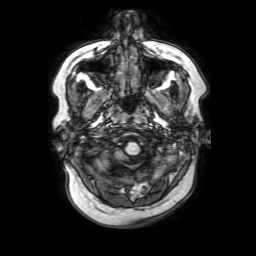
3 Tesla brain MRI.
Series: 3D T1-weighted with SENSE.
Study: ring-enhancing brain masses.